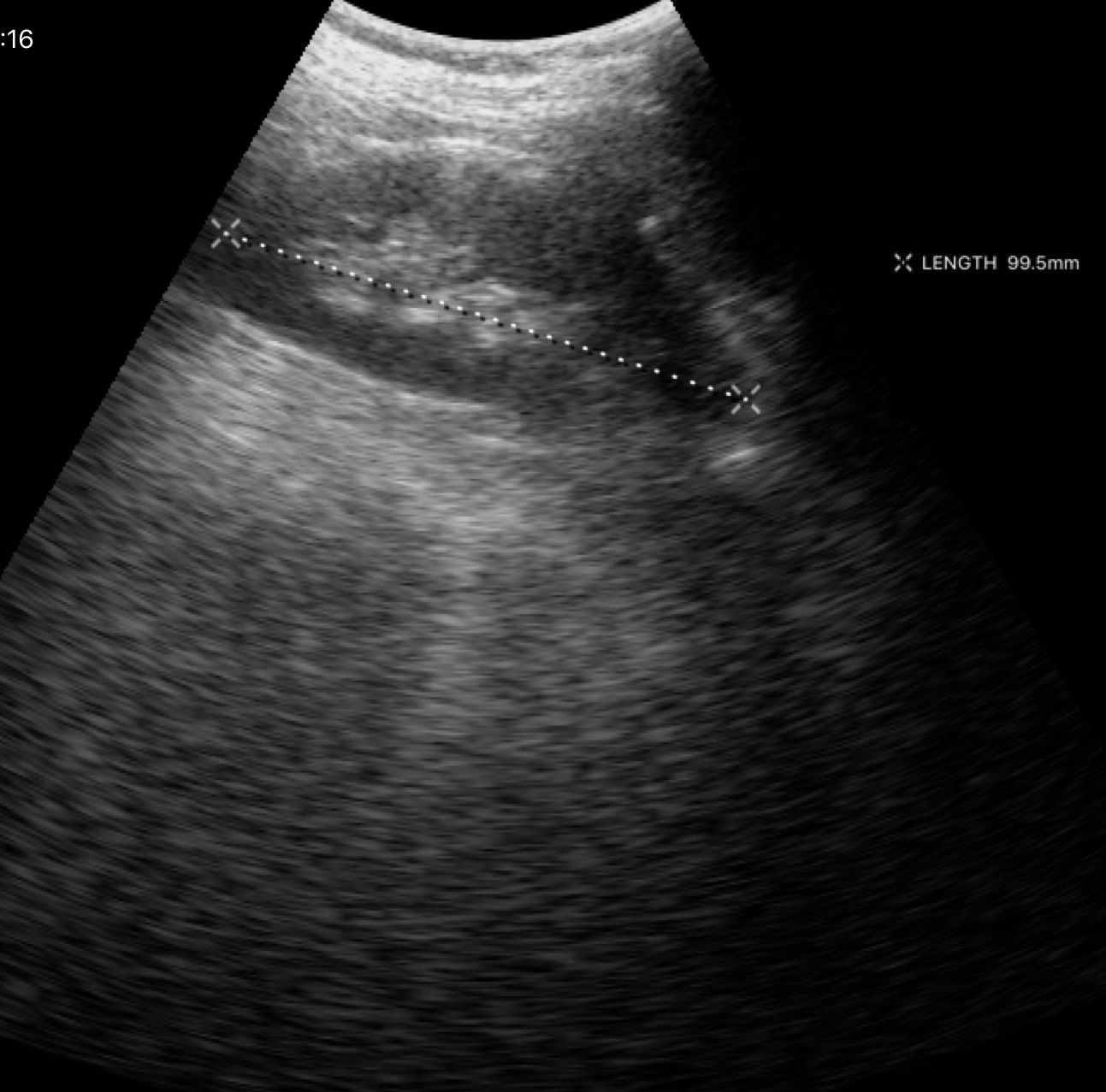
modality: genitourinary ultrasound